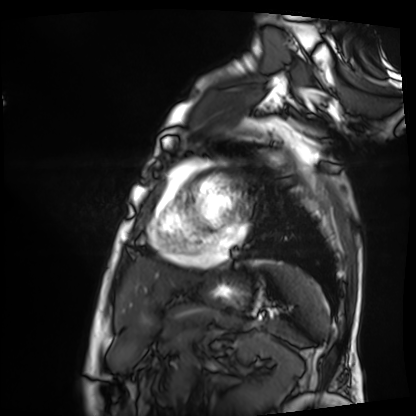
Cardiac MRI. Subject group: patient.